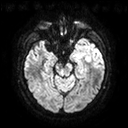
modality — 3 Tesla brain MRI
series — diffusion tensor imaging (medium iso)
study — ring-enhancing brain masses